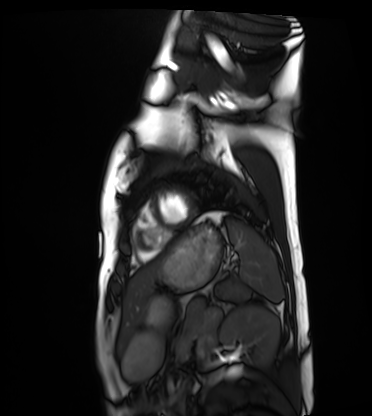
{"modality": "cardiac MRI", "cohort": "healthy volunteer"}